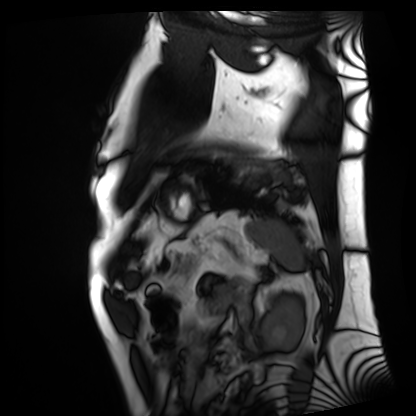
<case>
  <modality>cardiac MRI</modality>
  <cohort>patient</cohort>
</case>